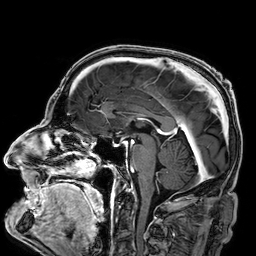
Summary:
3 Tesla brain MRI. Study: ring-enhancing brain masses.